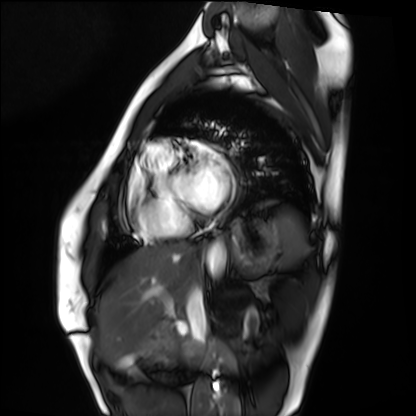
modality: cardiac MRI | subject group: healthy volunteer.